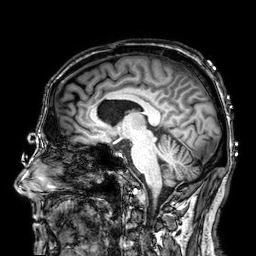
| field | value |
|---|---|
| modality | 3 Tesla brain MRI |
| series | 3D T1-weighted |
| study | ring-enhancing brain masses |